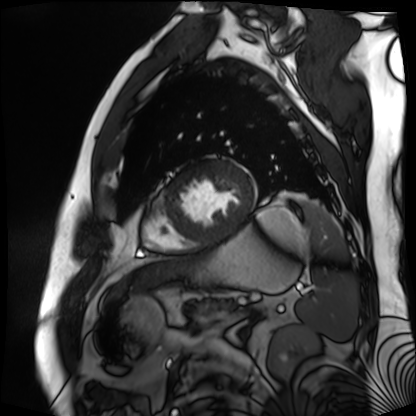
modality: cardiac MR image of the myocardium | subject cohort: cardiac patient.